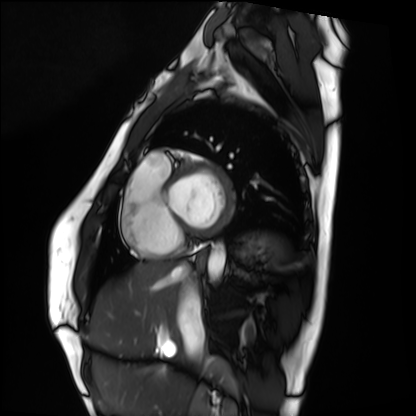
{"modality": "cardiac MRI", "cohort": "healthy volunteer"}